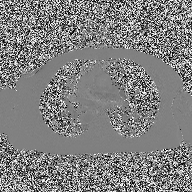
2D phase-contrast cine MRI of the ascending aorta, high-resolution GRAPPA acquisition.